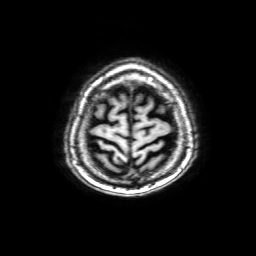
Q: What kind of scan is this?
A: 3 Tesla brain MRI.
Q: Series?
A: 3D T1-weighted with SENSE.
Study: ring-enhancing brain masses.